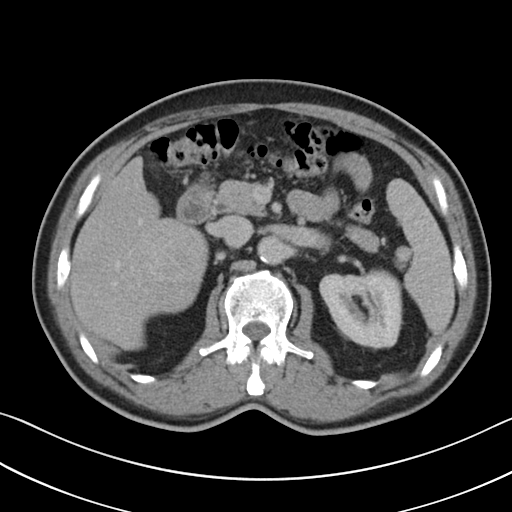
Multiphase abdominal CT, liver, portal venous phase.
Patient: male, age 62.
History: viral hepatitis.